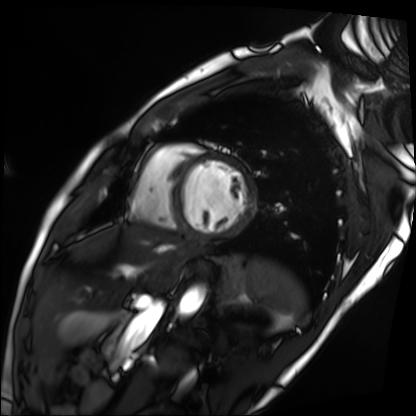
* modality — cardiac MRI
* subject group — patient